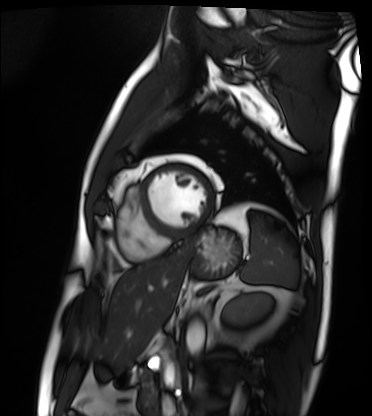
modality — cardiac MRI
subject group — patient